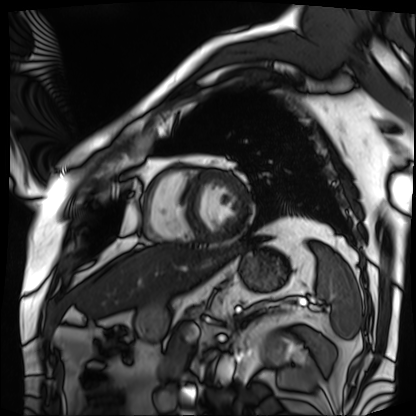
Cardiac MRI. Subject group: patient.